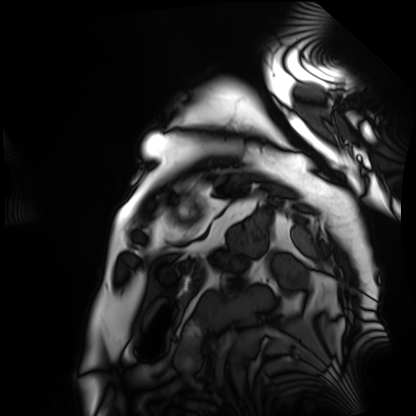
Cardiac MRI. Subject group: patient.